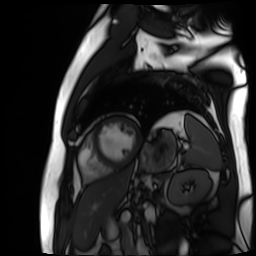
Cardiac MR image of the myocardium. Subject cohort: cardiac patient.